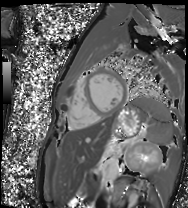
Clinical context:
Cardiac MR image of the myocardium. Subject cohort: healthy volunteer.